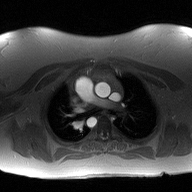
{
  "modality": {
    "type": "2D phase-contrast cine MRI",
    "region": "ascending aorta",
    "reconstruction": "high-resolution GRAPPA acquisition"
  }
}